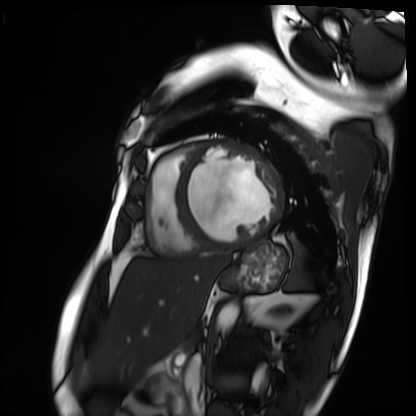
Cardiac MRI. Subject group: patient.